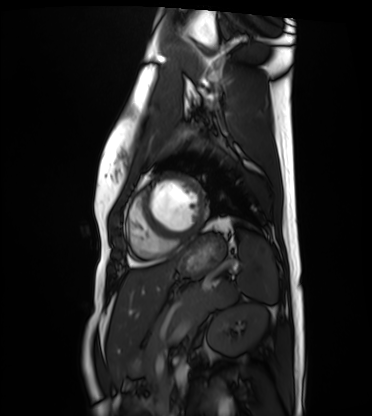
Case summary:
Cardiac MRI. Subject group: healthy volunteer.